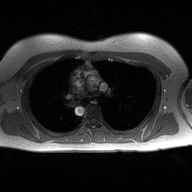
{"modality": {"type": "2D phase-contrast cine MRI", "region": "ascending aorta", "reconstruction": "high-resolution GRAPPA acquisition"}}